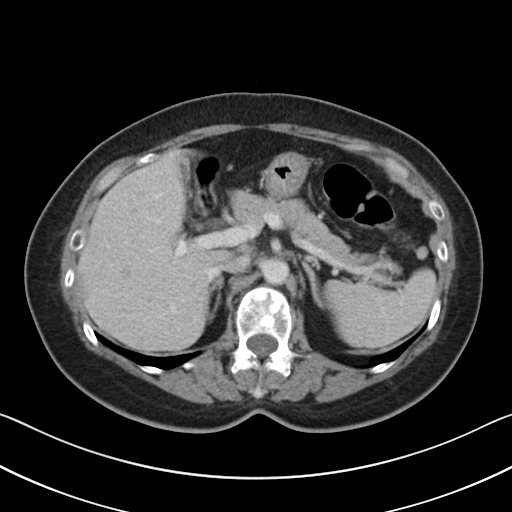
Multiphase abdominal CT, liver, portal venous phase. Patient: female, age 62.